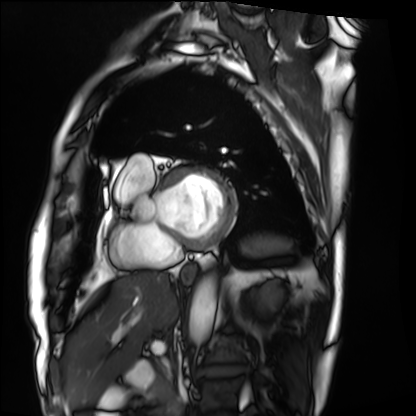
Case summary:
Cardiac MRI. Subject group: patient.